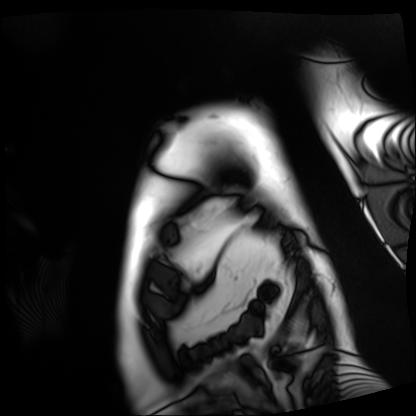
Cardiac MRI. Subject group: patient.